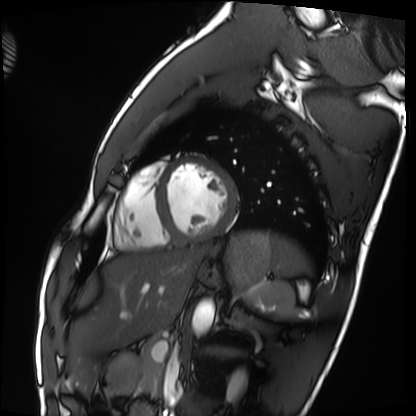
{"modality": "cardiac MRI", "cohort": "healthy volunteer"}